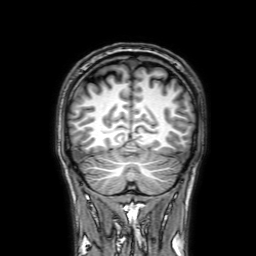
Clinical context: 3 Tesla brain MRI. Series: 3D T1-weighted with SENSE. Study: ring-enhancing brain masses.